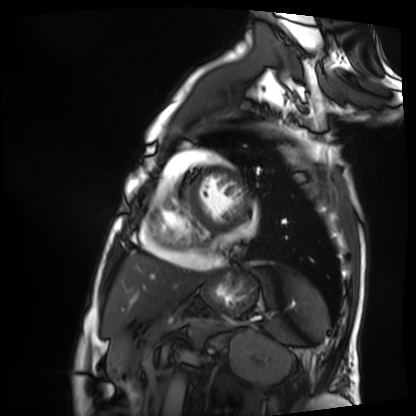
Summary: Cardiac MRI. Subject group: patient.